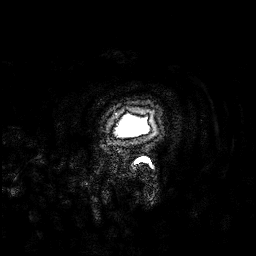
3 Tesla brain MRI. Series: 3D T1-weighted. Study: ring-enhancing brain masses.